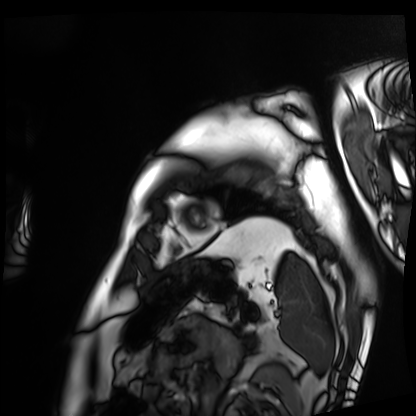
* modality · cardiac MRI
* subject group · patient